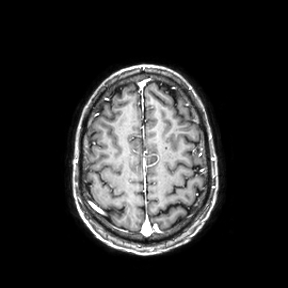
- modality: 3 Tesla brain MRI
- series: axial
- study: ring-enhancing brain masses